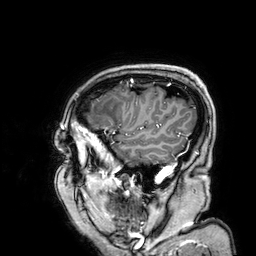
3 Tesla brain MRI. Series: 3D T1-weighted. Study: ring-enhancing brain masses.